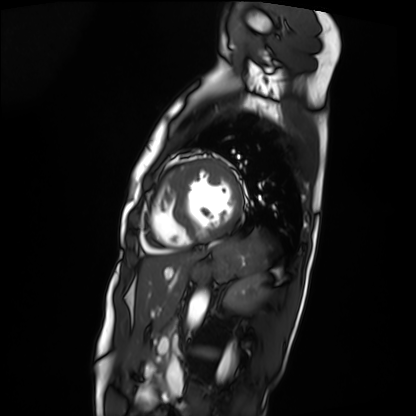
<record>
<modality>cardiac MRI</modality>
<cohort>patient</cohort>
</record>